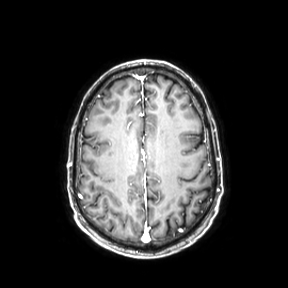
modality: 3 Tesla brain MRI; series: axial; study: ring-enhancing brain masses.